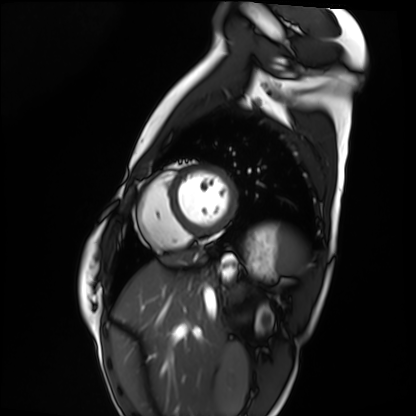
Clinical context: Cardiac MRI. Subject group: healthy volunteer.